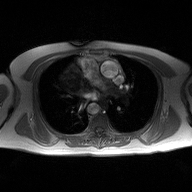
Q: What kind of scan is this?
A: 2D phase-contrast cine MRI of the ascending aorta.